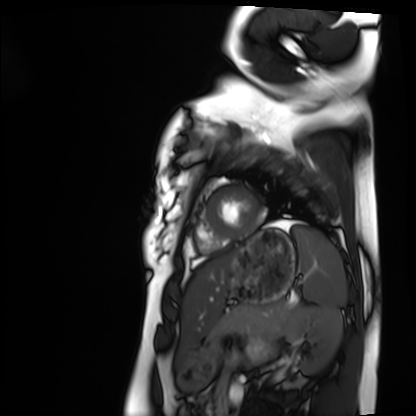
Cardiac MRI.
Subject group: healthy volunteer.